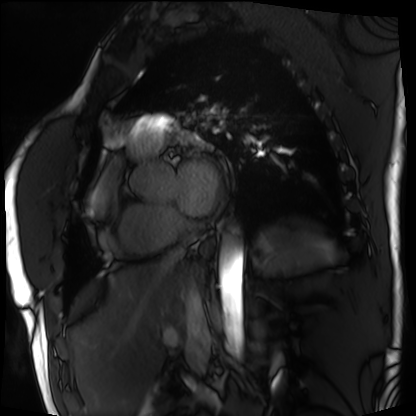
modality=cardiac MRI; subject group=patient.